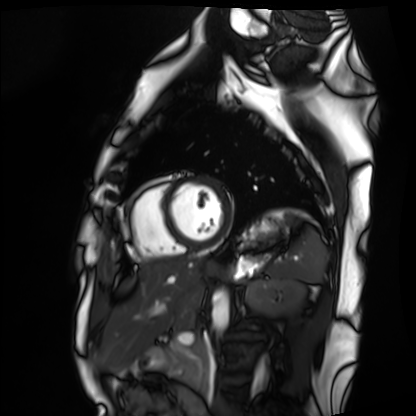
Cardiac MRI. Subject group: healthy volunteer.